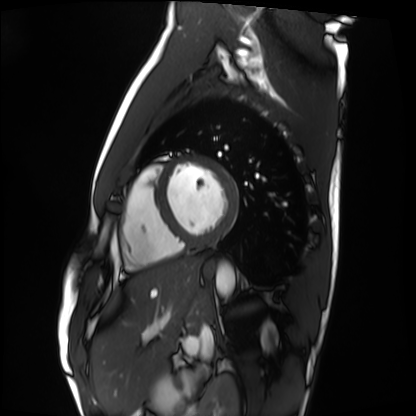
Q: What kind of scan is this?
A: Cardiac MRI.
Subject group: healthy volunteer.